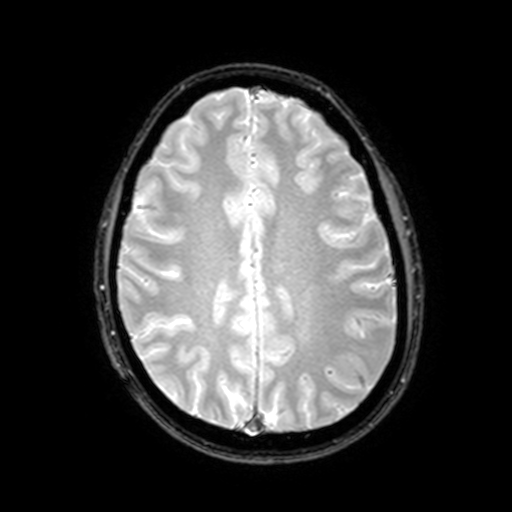
3 Tesla brain MRI. Series: T2-weighted fast field echo with SENSE. Study: ring-enhancing brain masses.